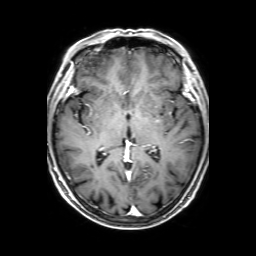
<case>
  <modality>
    <type>brain MRI</type>
    <field_strength>3T</field_strength>
  </modality>
  <study_topic>ring-enhancing brain masses</study_topic>
</case>